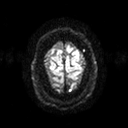
Summary: 3 Tesla brain MRI. Series: diffusion tensor imaging (medium iso). Study: ring-enhancing brain masses.